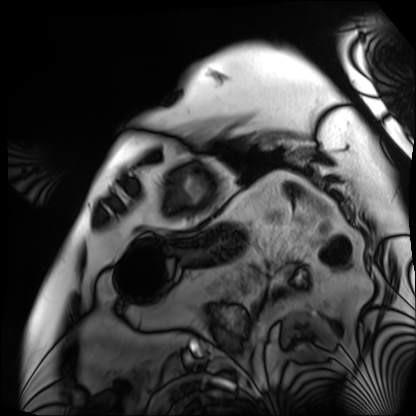
Cardiac MRI.
Subject group: patient.